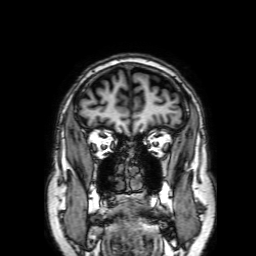
Case summary:
3 Tesla brain MRI. Series: 3D T1-weighted with SENSE. Study: ring-enhancing brain masses.